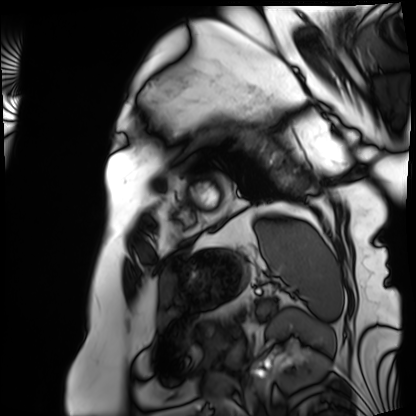
modality = cardiac MRI; subject group = patient.